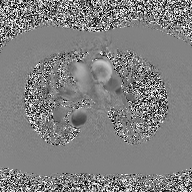
Case:
- modality — 2D phase-contrast cine MRI of the ascending aorta